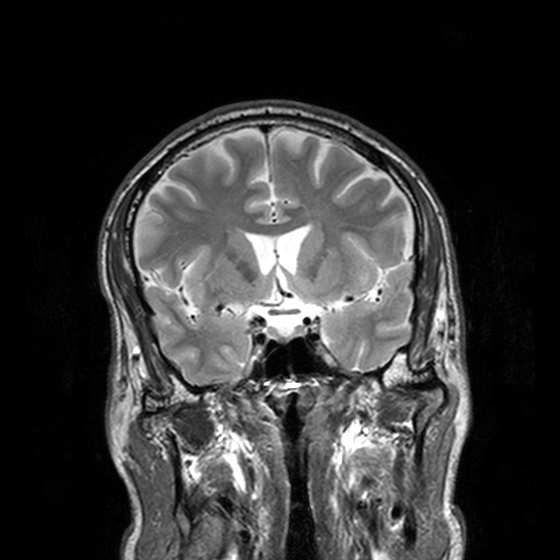
modality = 3 Tesla brain MRI | series = T2-weighted turbo spin echo, 3 mm | study = ring-enhancing brain masses.